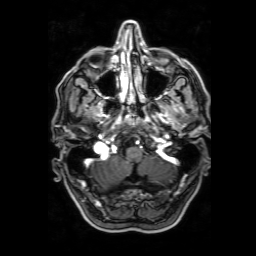
  modality:
    type: brain MRI
    field_strength: 3T
  series: 3D T1-weighted with SENSE
  study_topic: ring-enhancing brain masses